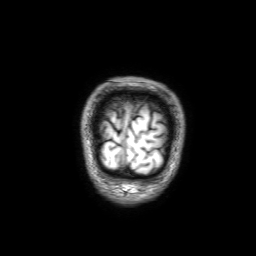
* modality: 3 Tesla brain MRI
* series: 3D T1-weighted with SENSE
* study: ring-enhancing brain masses